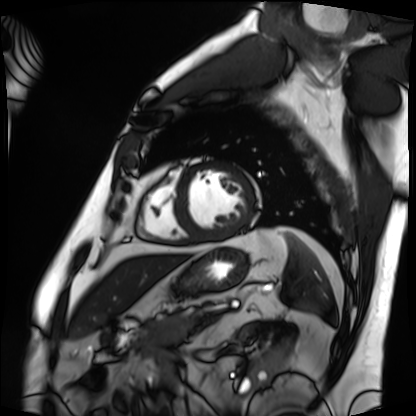
modality = cardiac MRI; subject group = patient.